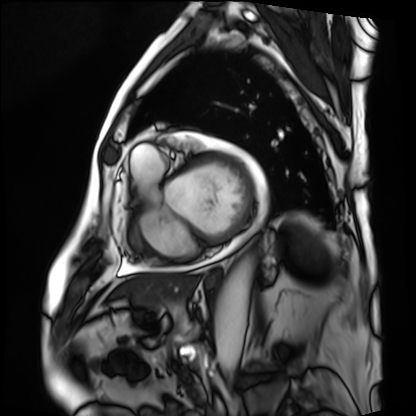
{"modality": "cardiac MRI", "cohort": "patient"}